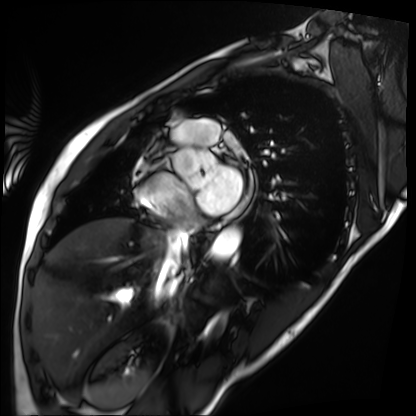
Cardiac MRI.
Subject group: patient.